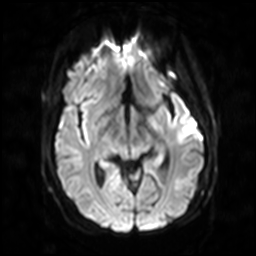
Summary:
3 Tesla brain MRI. Series: diffusion-weighted imaging with SENSE (WIP). Study: ring-enhancing brain masses.